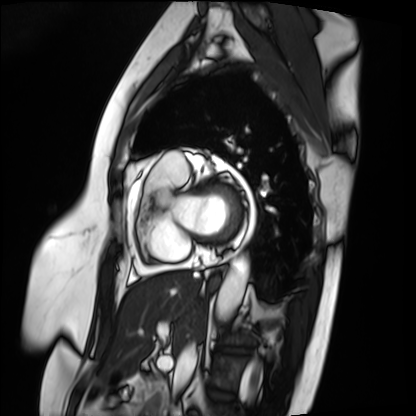
Cardiac MRI. Subject group: patient.